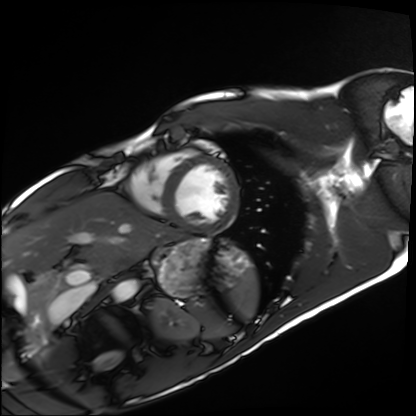
– modality · cardiac MRI
– subject group · healthy volunteer